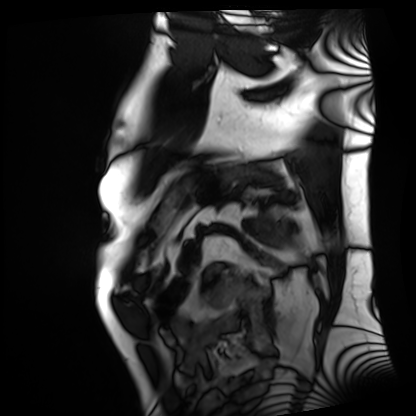
Clinical context: Cardiac MRI. Subject group: patient.